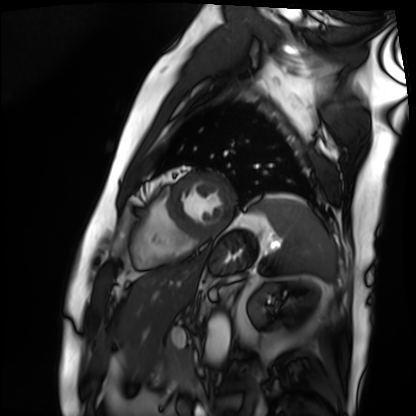
• modality · cardiac MRI
• subject group · patient